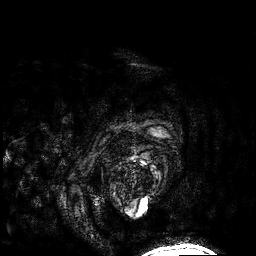
Summary: 3 Tesla brain MRI. Series: 3D T1-weighted. Study: ring-enhancing brain masses.